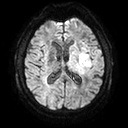
3 Tesla brain MRI.
Series: diffusion tensor imaging (medium iso).
Study: ring-enhancing brain masses.